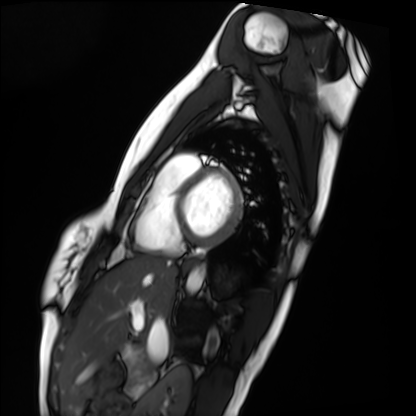
Case:
• modality: cardiac MRI
• subject group: healthy volunteer